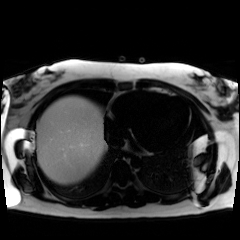
modality: chemical-shift-encoded cardiac MRI